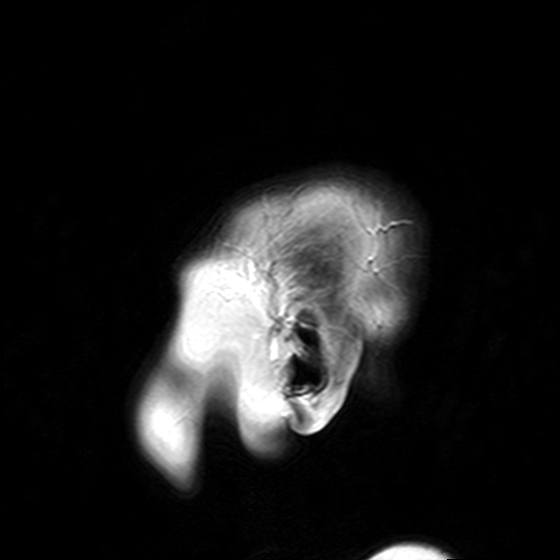
modality=3 Tesla brain MRI | series=T2-weighted turbo spin echo with SENSE | study=ring-enhancing brain masses.